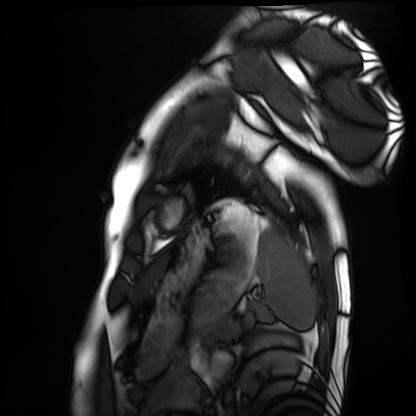
modality = cardiac MRI
subject group = healthy volunteer